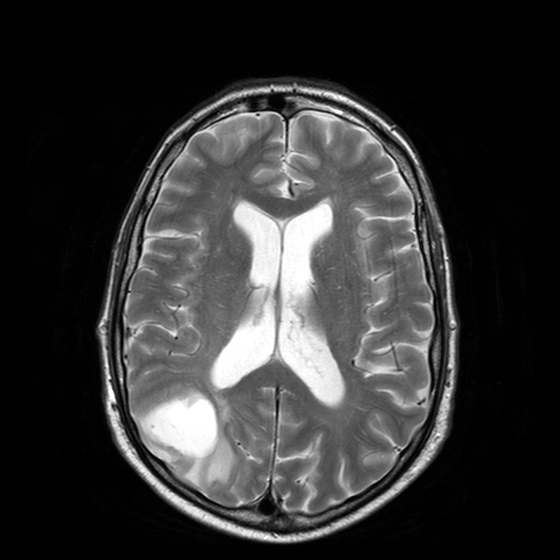
3 Tesla brain MRI. Series: T2-weighted turbo spin echo with CLEAR. Study: ring-enhancing brain masses.